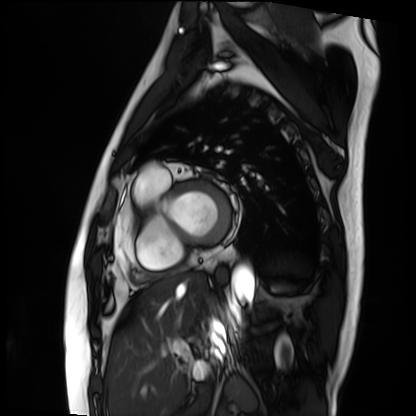
Cardiac MRI. Subject group: patient.